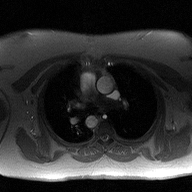
Q: What kind of scan is this?
A: 2D phase-contrast cine MRI of the ascending aorta.